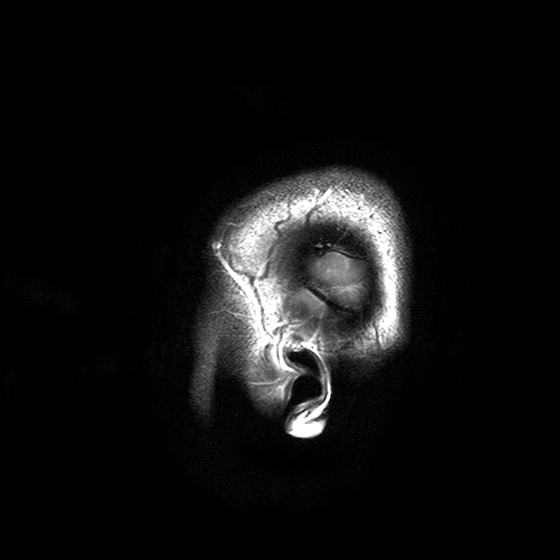
3 Tesla brain MRI.
Series: T2-weighted turbo spin echo with SENSE.
Study: ring-enhancing brain masses.